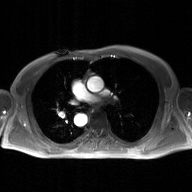
modality = 2D phase-contrast cine MRI of the ascending aorta, GAN super-resolution reconstruction